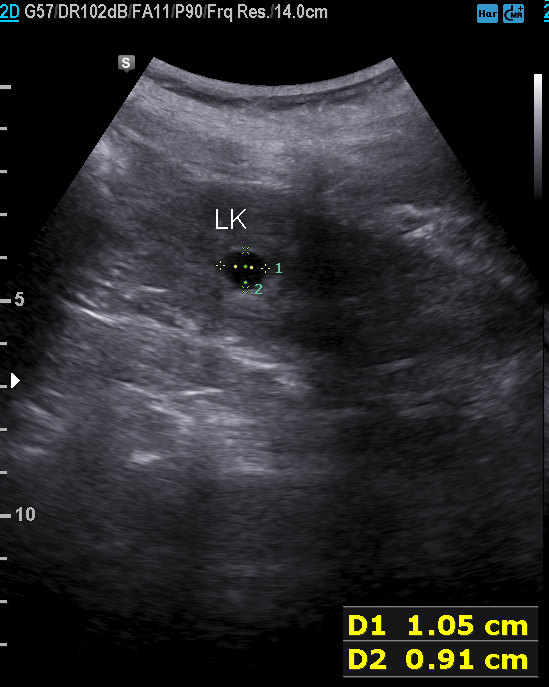
| field | value |
|---|---|
| modality | genitourinary ultrasound |